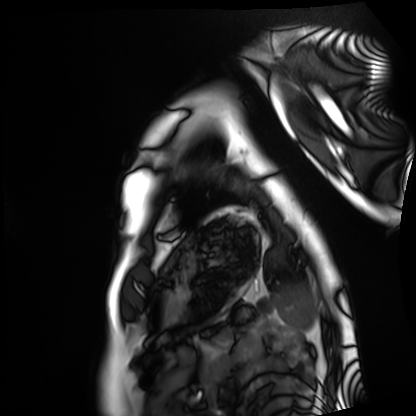
Cardiac MRI.
Subject group: healthy volunteer.